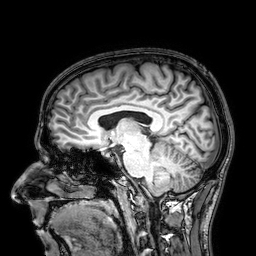
modality: 3 Tesla brain MRI; study: ring-enhancing brain masses.